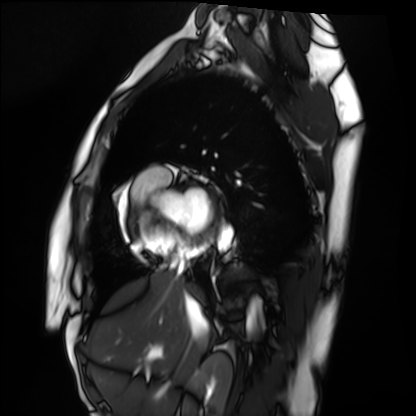
Cardiac MRI.
Subject group: healthy volunteer.